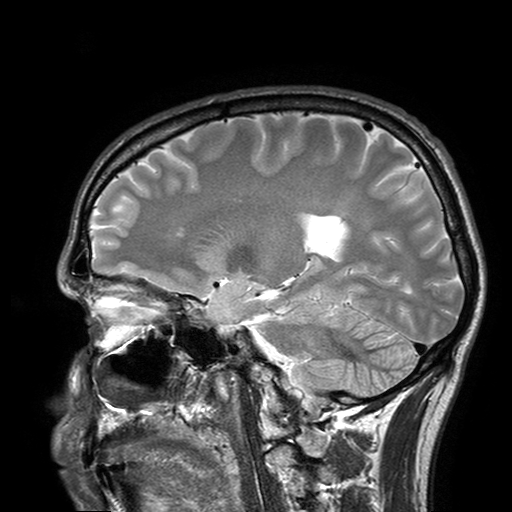
* modality: 3 Tesla brain MRI
* series: T2-weighted turbo spin echo with SENSE
* study: ring-enhancing brain masses